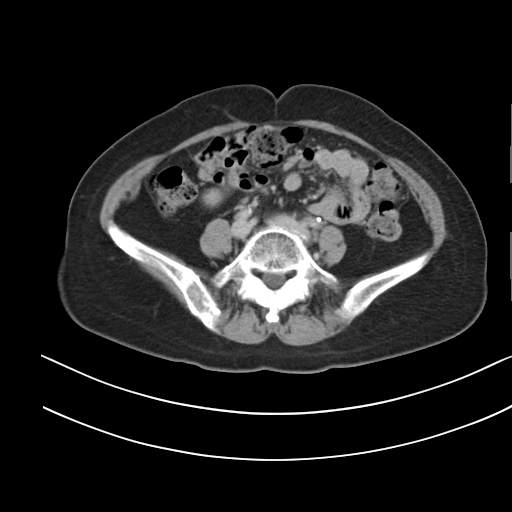
Clinical context: Multiphase abdominal CT, liver, delayed phase. Patient: female, age 56. History: prior chemotherapy.